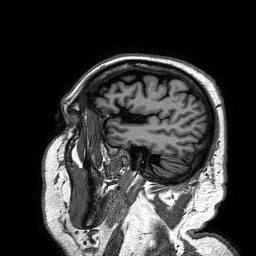
Q: What kind of scan is this?
A: 3 Tesla brain MRI.
Q: Series?
A: 3D T1-weighted turbo field echo.
Study: ring-enhancing brain masses.